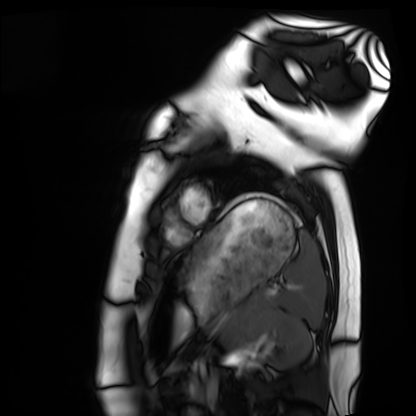
modality = cardiac MRI; subject group = healthy volunteer.